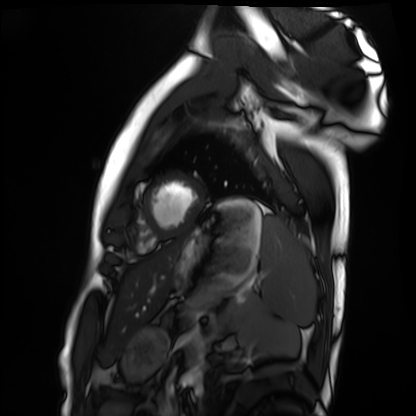
Cardiac MRI. Subject group: healthy volunteer.